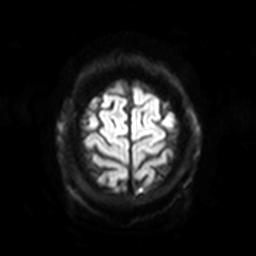
3 Tesla brain MRI.
Series: diffusion-weighted imaging with SENSE (WIP).
Study: ring-enhancing brain masses.